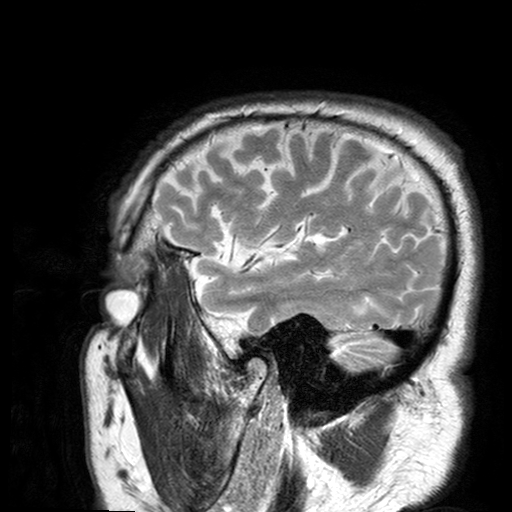
3 Tesla brain MRI.
Series: T2-weighted turbo spin echo with SENSE.
Study: ring-enhancing brain masses.